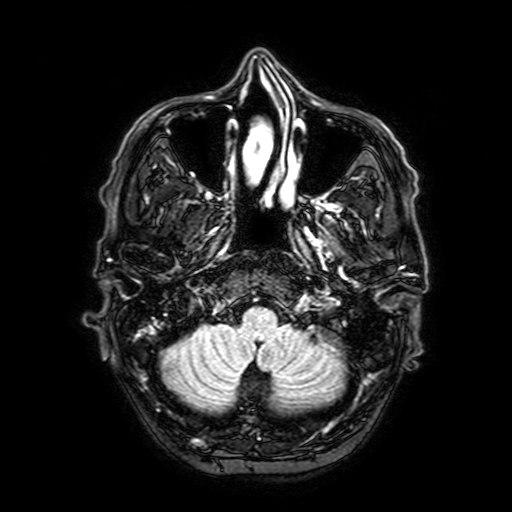
3 Tesla brain MRI. Series: FLAIR with SPAIR, 3 mm. Study: ring-enhancing brain masses.